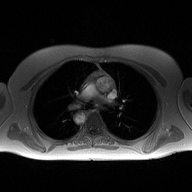
{"modality": {"type": "2D phase-contrast cine MRI", "region": "ascending aorta", "reconstruction": "high-resolution GRAPPA acquisition"}}